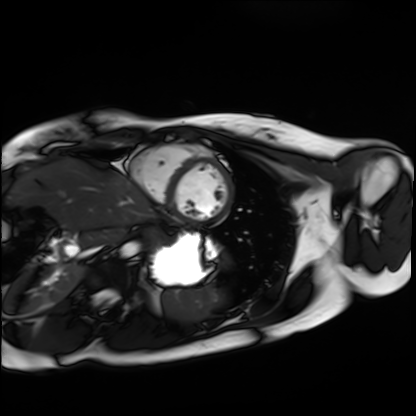
Q: What kind of scan is this?
A: Cardiac MRI.
Subject group: healthy volunteer.